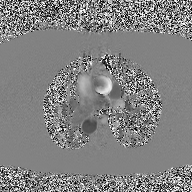
| field | value |
|---|---|
| modality | 2D phase-contrast cine MRI of the ascending aorta |